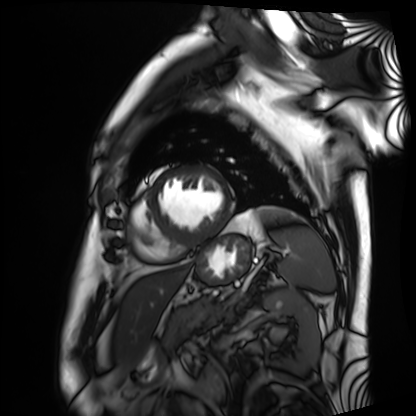
Summary: Cardiac MRI. Subject group: patient.